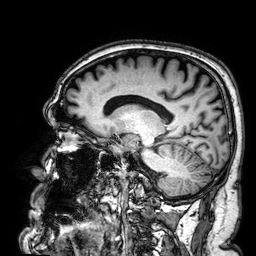
3 Tesla brain MRI.
Series: 3D T1-weighted.
Study: ring-enhancing brain masses.